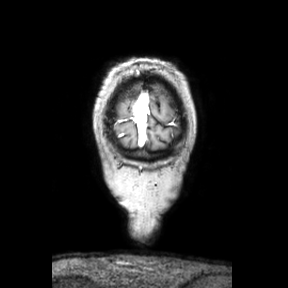
<study>
  <modality>
    <type>brain MRI</type>
    <field_strength>3T</field_strength>
  </modality>
  <series>coronal</series>
  <study_topic>ring-enhancing brain masses</study_topic>
</study>